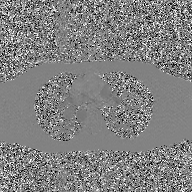
Summary:
2D phase-contrast cine MRI of the ascending aorta, GAN super-resolution reconstruction.